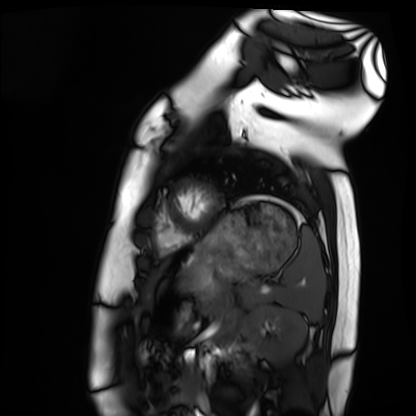
  modality: cardiac MRI
  cohort: healthy volunteer